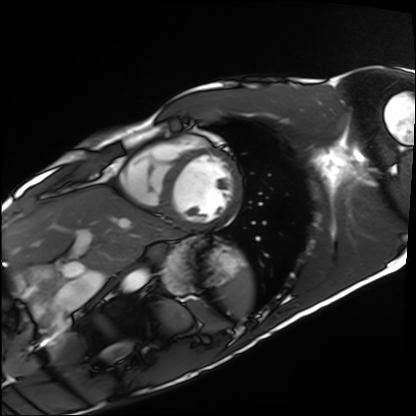
| field | value |
|---|---|
| modality | cardiac MRI |
| subject group | healthy volunteer |